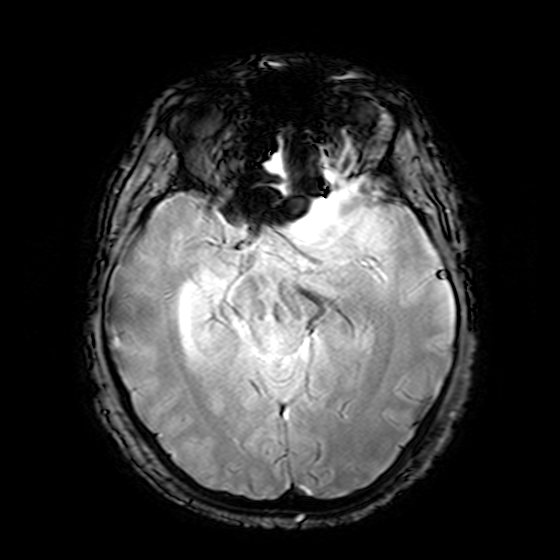
Case summary: 3 Tesla brain MRI. Series: T2-weighted fast field echo. Study: ring-enhancing brain masses.